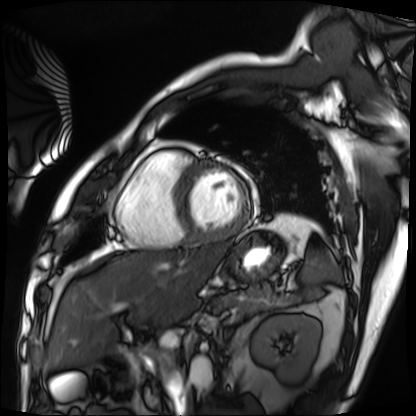
modality: cardiac MRI; subject group: patient.